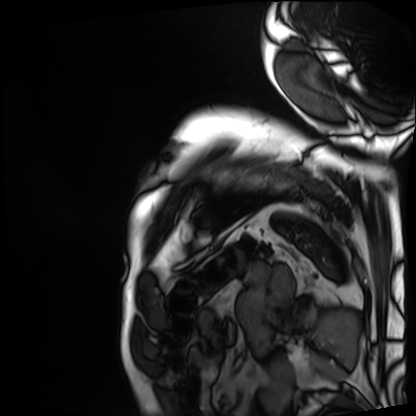
Cardiac MRI. Subject group: patient.